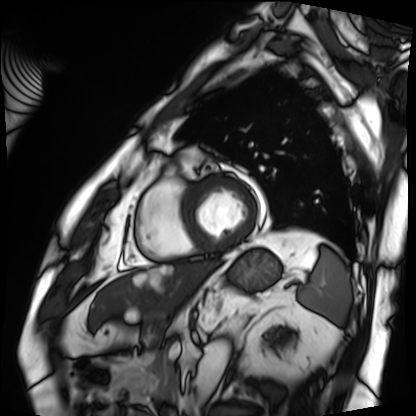
Cardiac MRI. Subject group: patient.